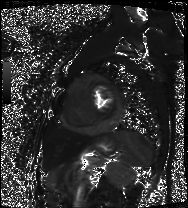
Clinical context:
Cardiac MRI. Subject group: patient.